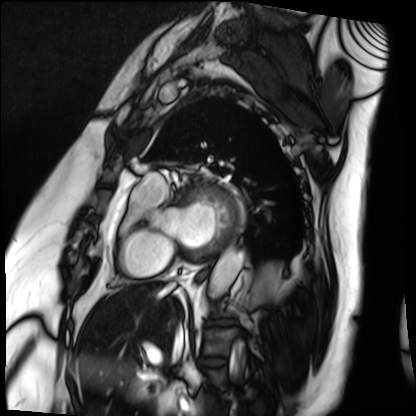
Cardiac MRI. Subject group: patient.